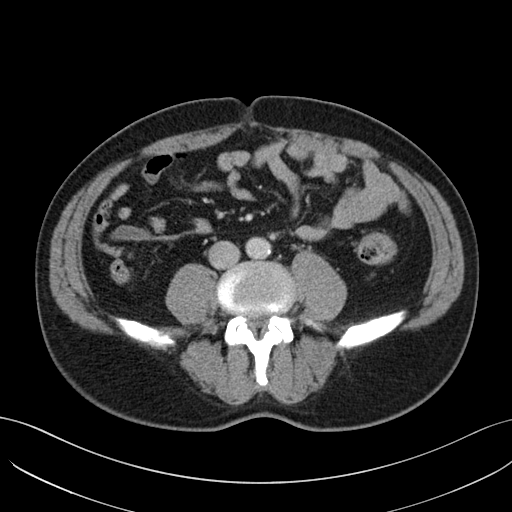
Summary: Multiphase abdominal CT, liver, portal venous phase. Patient: male, age 51. History: prior chemotherapy.